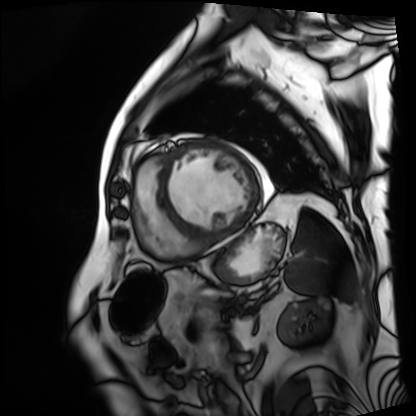
Q: What kind of scan is this?
A: Cardiac MRI.
Subject group: patient.